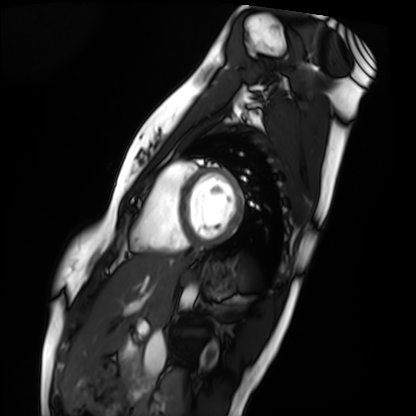
{"modality": "cardiac MRI", "cohort": "healthy volunteer"}